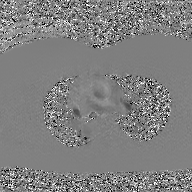
2D phase-contrast cine MRI of the ascending aorta, GAN super-resolution reconstruction.